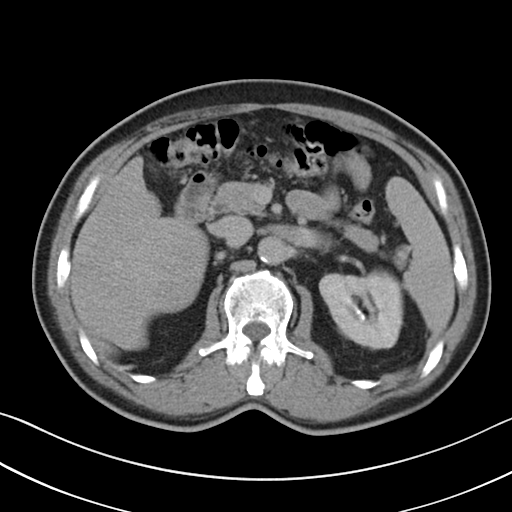
Multiphase abdominal CT, liver, delayed phase. Patient: male, age 62. History: viral hepatitis.